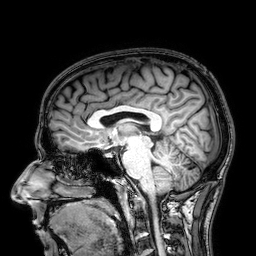
3 Tesla brain MRI. Series: 3D T1-weighted. Study: ring-enhancing brain masses.